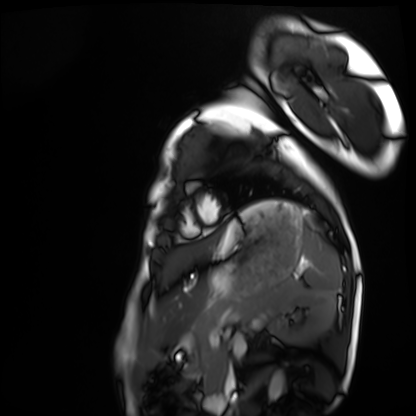
modality = cardiac MRI, subject group = healthy volunteer.